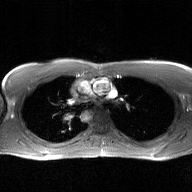
modality = 2D phase-contrast cine MRI of the ascending aorta, GAN super-resolution reconstruction.